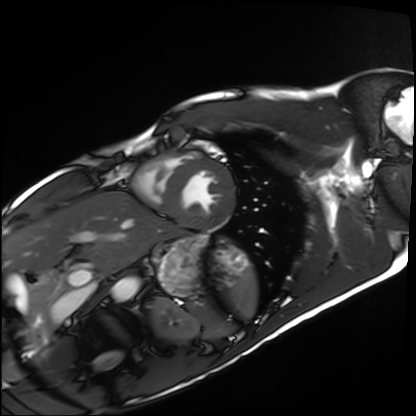
modality: cardiac MRI; subject group: healthy volunteer.